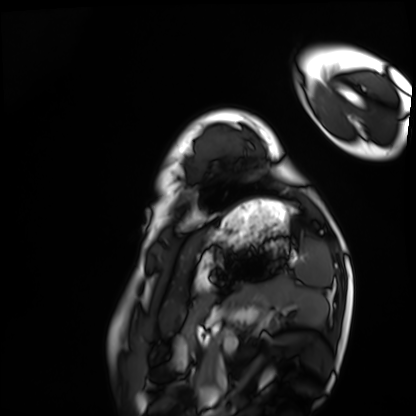
modality = cardiac MRI; subject group = healthy volunteer.